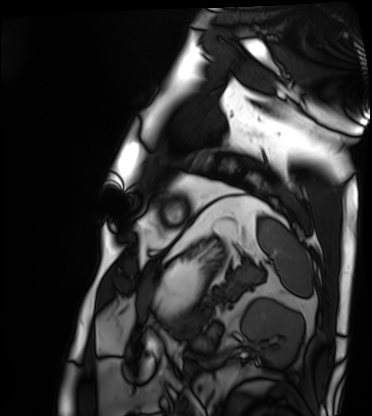
Cardiac MRI. Subject group: patient.